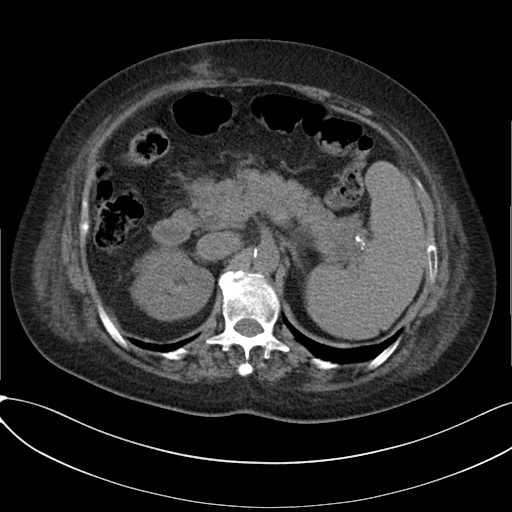
Summary: Multiphase abdominal CT, liver, non-contrast phase. Patient: female, age 65.